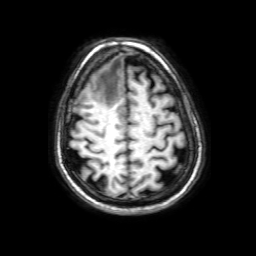
* modality — 3 Tesla brain MRI
* series — 3D T1-weighted with SENSE
* study — ring-enhancing brain masses